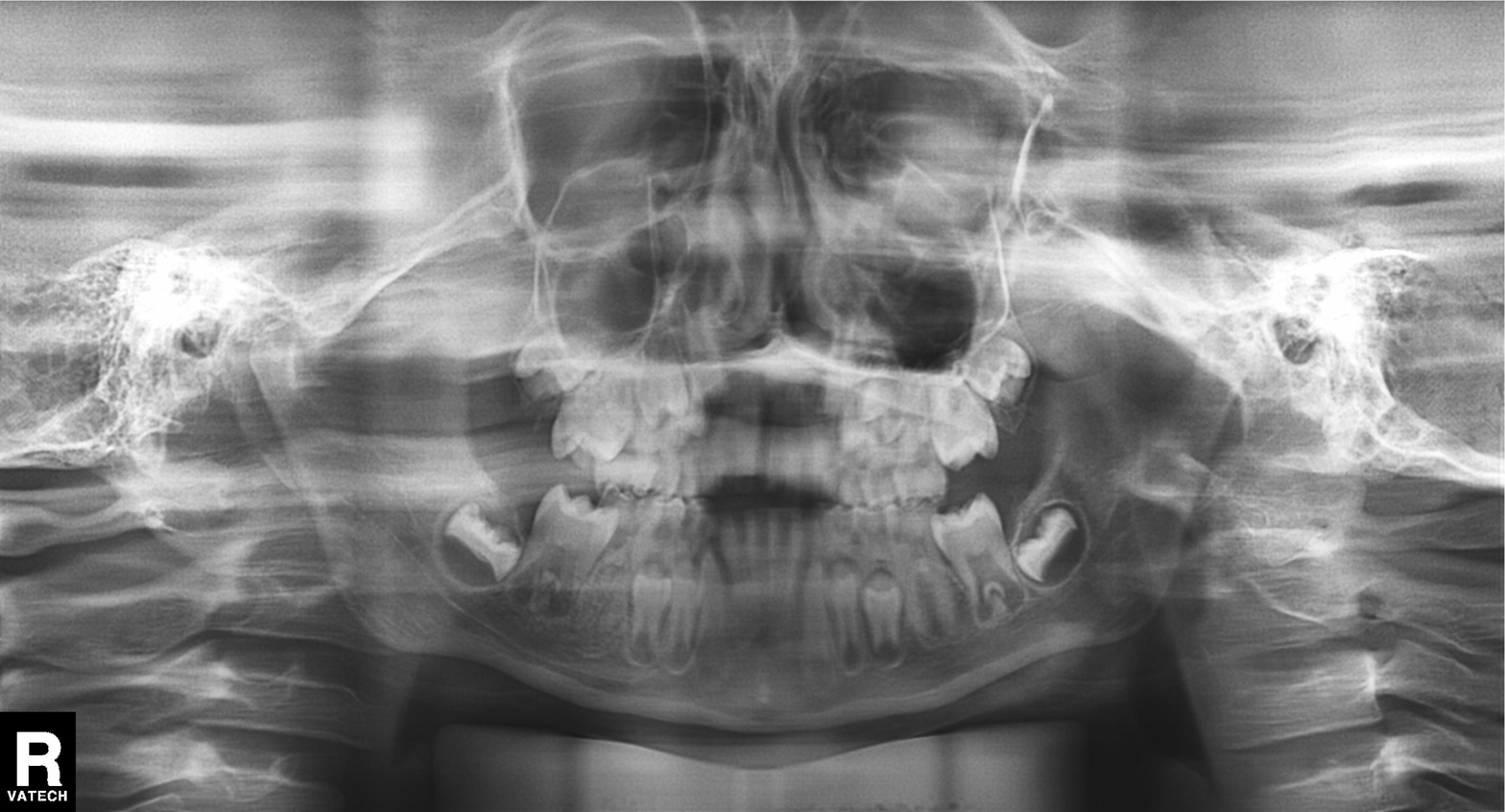
Summary:
Panoramic dental radiograph (orthopantomogram).
Impression:
Alveolar bone loss.